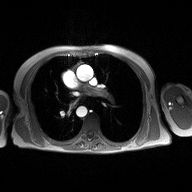
Q: What kind of scan is this?
A: 2D phase-contrast cine MRI of the ascending aorta.